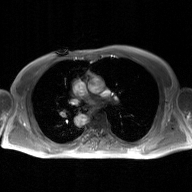
- modality: 2D phase-contrast cine MRI of the ascending aorta, GAN super-resolution reconstruction